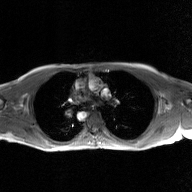
modality = 2D phase-contrast cine MRI of the ascending aorta, GAN super-resolution reconstruction